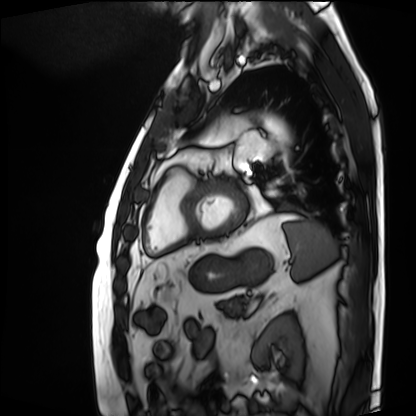
modality: cardiac MRI | subject group: patient.